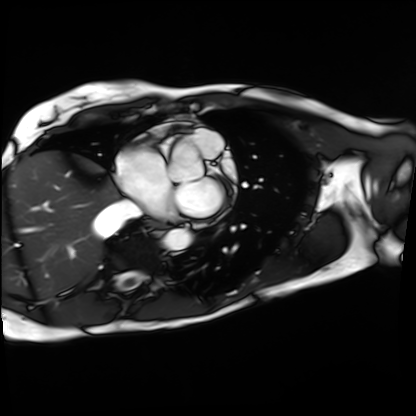
Clinical context:
Cardiac MRI. Subject group: patient.